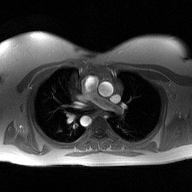
2D phase-contrast cine MRI of the ascending aorta, high-resolution GRAPPA acquisition.